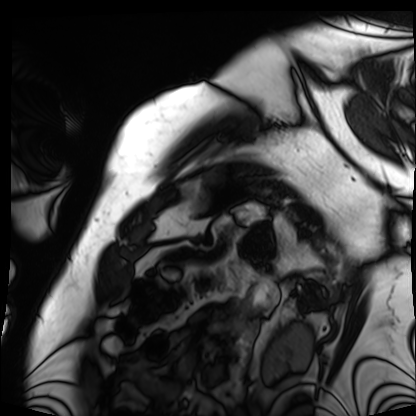
– modality — cardiac MRI
– subject group — patient